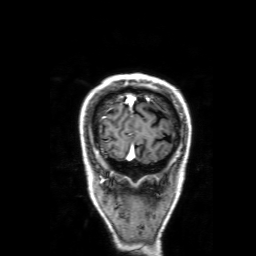
  modality:
    type: brain MRI
    field_strength: 3T
  series: 3D T1-weighted with SENSE
  study_topic: ring-enhancing brain masses